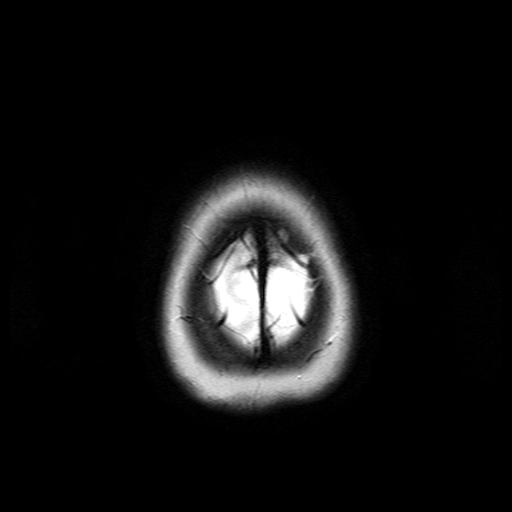
3 Tesla brain MRI. Series: T2-weighted turbo spin echo. Study: ring-enhancing brain masses.